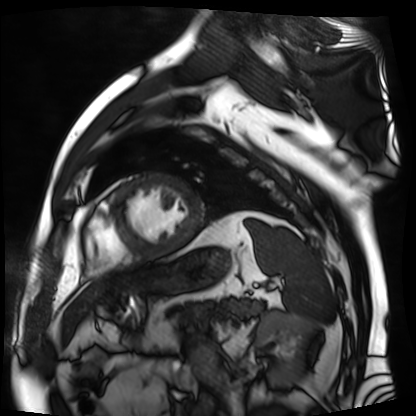
Cardiac MR image of the myocardium.
Subject cohort: cardiac patient.